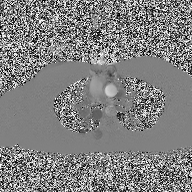
{
  "modality": {
    "type": "2D phase-contrast cine MRI",
    "region": "ascending aorta",
    "reconstruction": "high-resolution GRAPPA acquisition"
  }
}